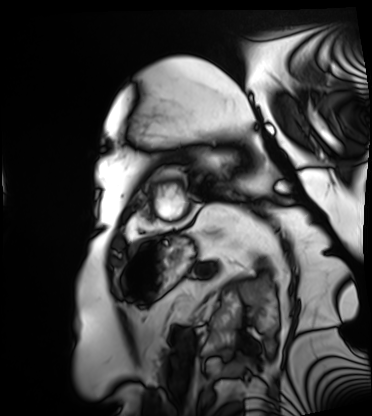
<study>
<modality>cardiac MRI</modality>
<cohort>patient</cohort>
</study>